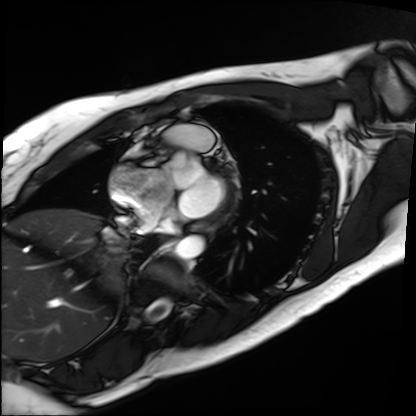
Cardiac MRI. Subject group: patient.